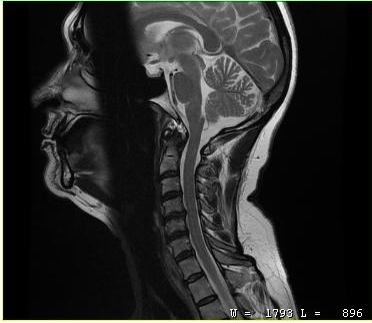
Case:
* modality · MRI of the cervical spine
* study · cervical spondylosis